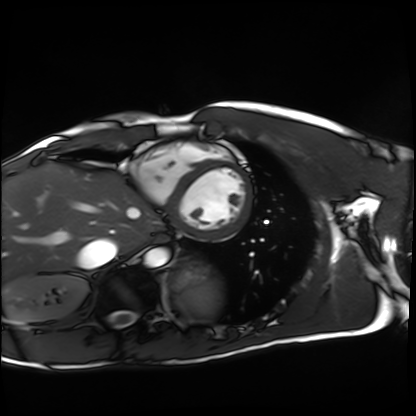
modality: cardiac MRI
cohort: healthy volunteer